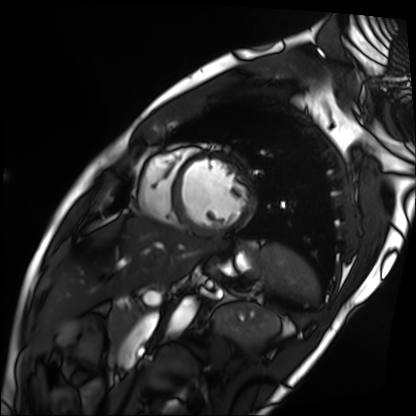
Summary:
Cardiac MRI. Subject group: patient.